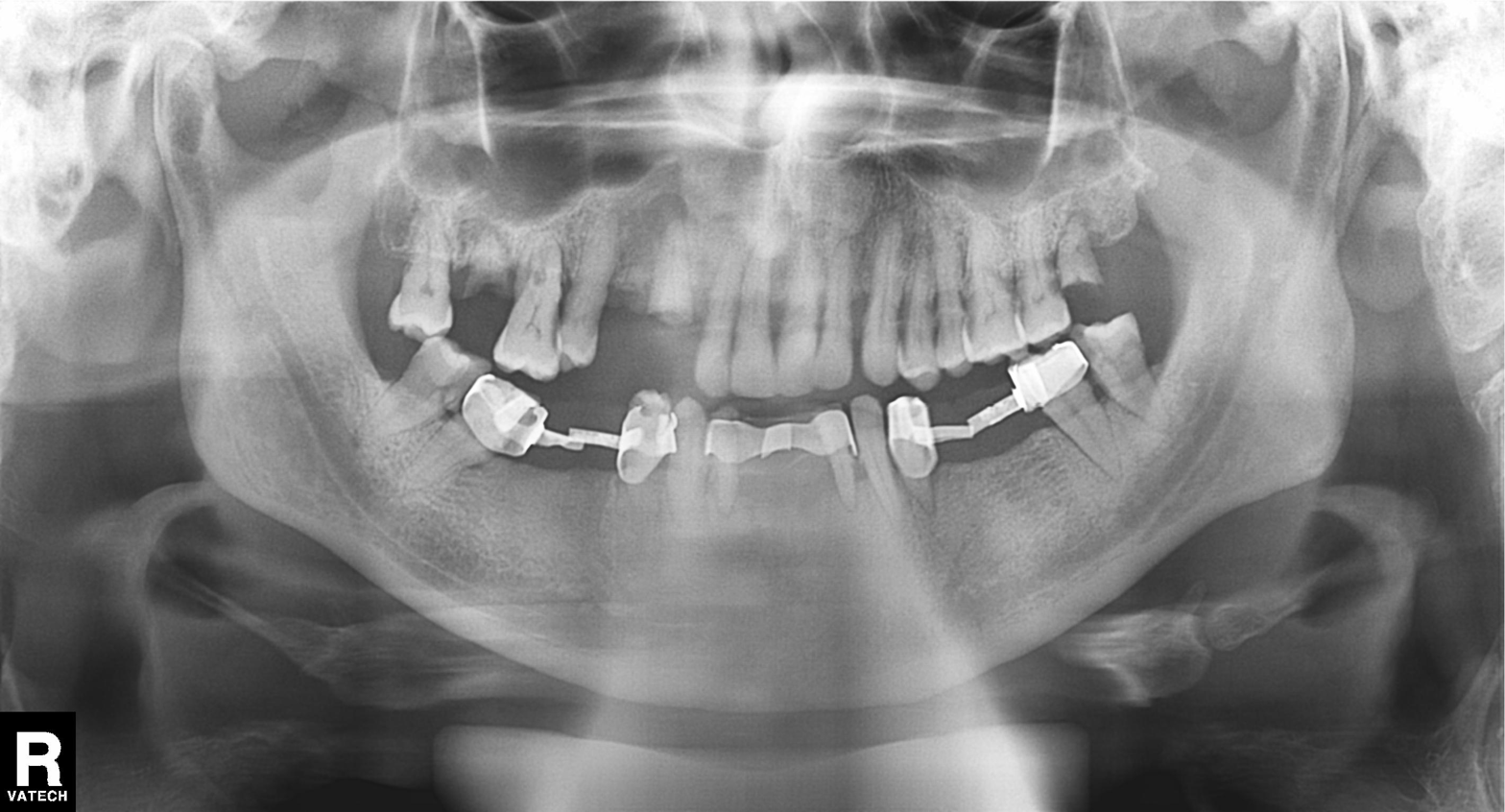
Clinical context:
Panoramic dental radiograph (orthopantomogram).
Diagnosis:
Dental caries (cavities).